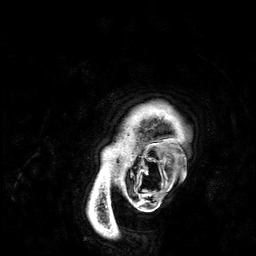
modality=3 Tesla brain MRI; series=3D T1-weighted; study=ring-enhancing brain masses.